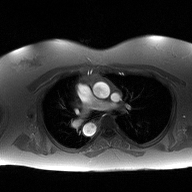
2D phase-contrast cine MRI of the ascending aorta, high-resolution GRAPPA acquisition.